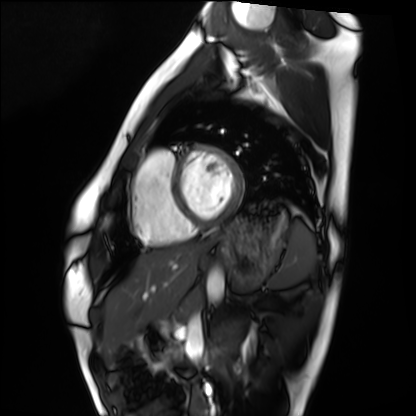
– modality — cardiac MRI
– subject group — healthy volunteer